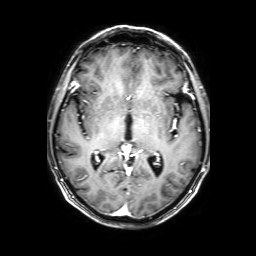
modality: 3 Tesla brain MRI | series: 3D T1-weighted with SENSE | study: ring-enhancing brain masses.